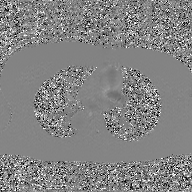
| field | value |
|---|---|
| modality | 2D phase-contrast cine MRI of the ascending aorta, GAN super-resolution reconstruction |